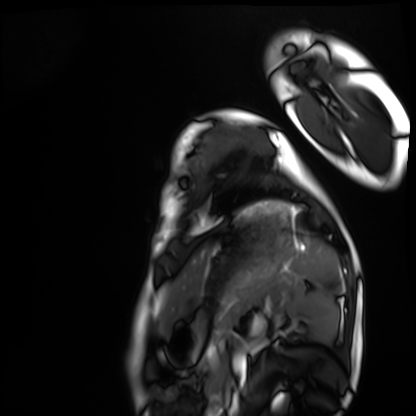
Q: What kind of scan is this?
A: Cardiac MRI.
Subject group: healthy volunteer.